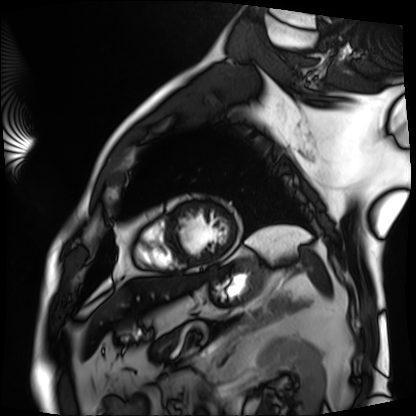
{
  "modality": "cardiac MRI",
  "cohort": "patient"
}